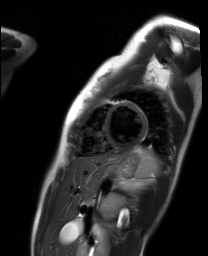
modality: cardiac MR image of the myocardium; subject cohort: healthy volunteer.